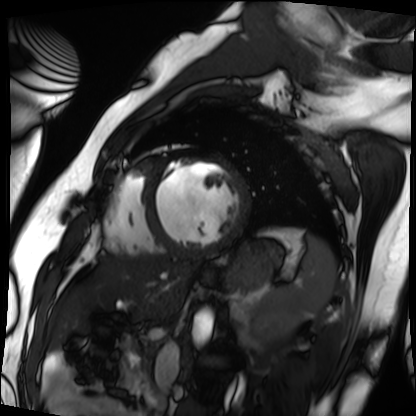
Q: What kind of scan is this?
A: Cardiac MRI.
Subject group: patient.